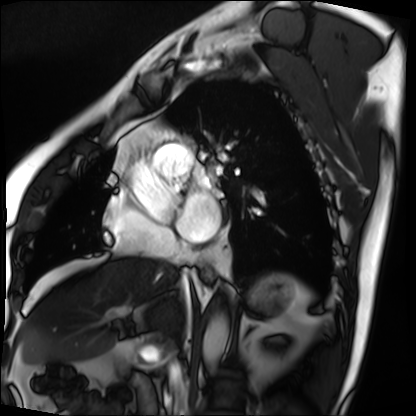
Cardiac MRI. Subject group: patient.